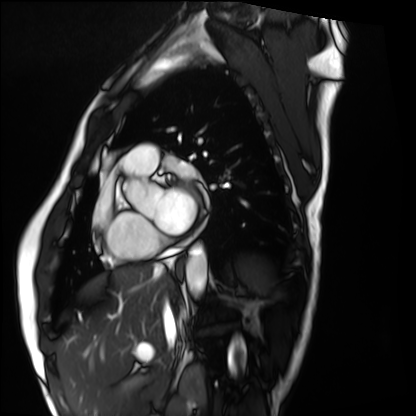
Cardiac MRI. Subject group: healthy volunteer.